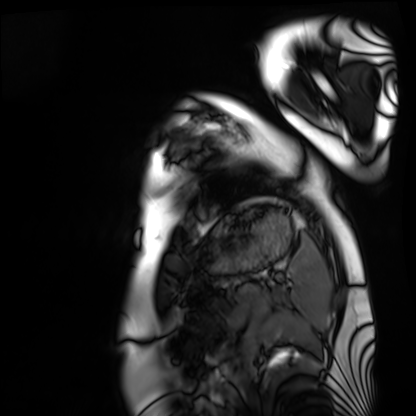
Case summary:
Cardiac MRI. Subject group: healthy volunteer.